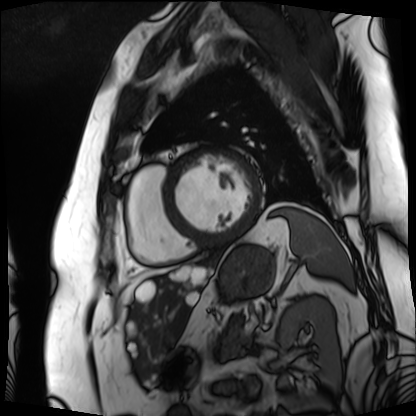
Cardiac MRI.
Subject group: patient.